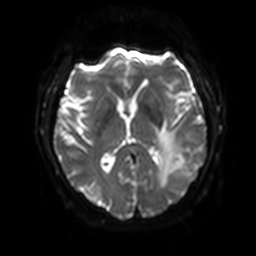
<scan>
  <modality>
    <type>brain MRI</type>
    <field_strength>3T</field_strength>
  </modality>
  <series>diffusion-weighted imaging with SENSE (WIP)</series>
  <study_topic>ring-enhancing brain masses</study_topic>
</scan>